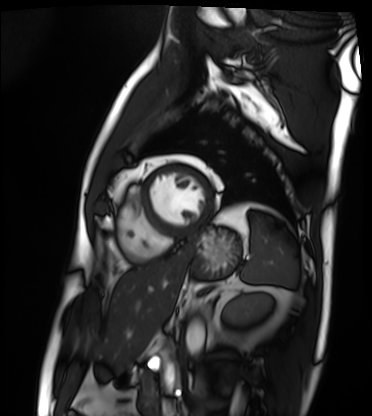
<case>
<modality>cardiac MRI</modality>
<cohort>patient</cohort>
</case>